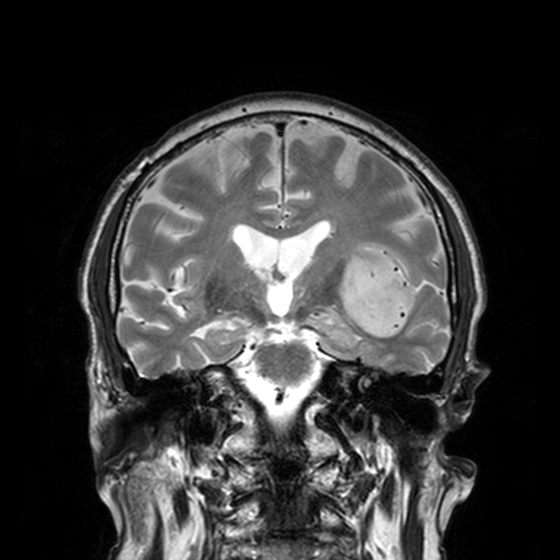
3 Tesla brain MRI. Series: T2-weighted turbo spin echo, 3 mm. Study: ring-enhancing brain masses.